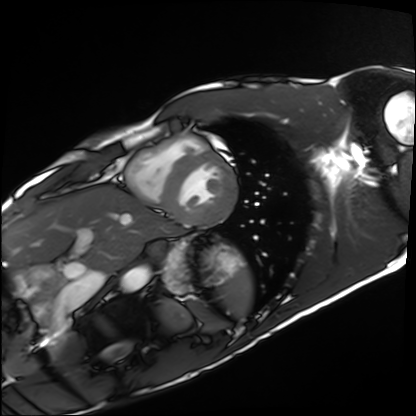
Summary: Cardiac MRI. Subject group: healthy volunteer.